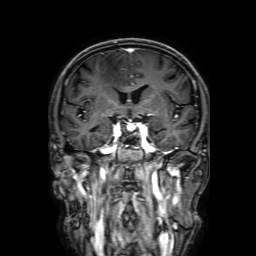
3 Tesla brain MRI. Series: 3D T1-weighted with SENSE. Study: ring-enhancing brain masses.